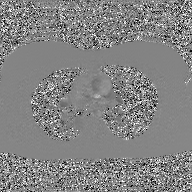
2D phase-contrast cine MRI of the ascending aorta, GAN super-resolution reconstruction.